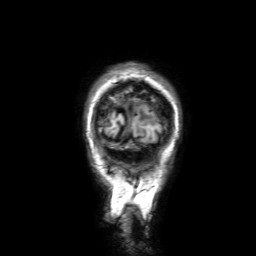
Case:
* modality · 3 Tesla brain MRI
* series · 3D T1-weighted with SENSE
* study · ring-enhancing brain masses